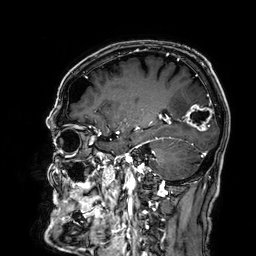
Q: What kind of scan is this?
A: 3 Tesla brain MRI.
Q: Series?
A: 3D T1-weighted.
Study: ring-enhancing brain masses.